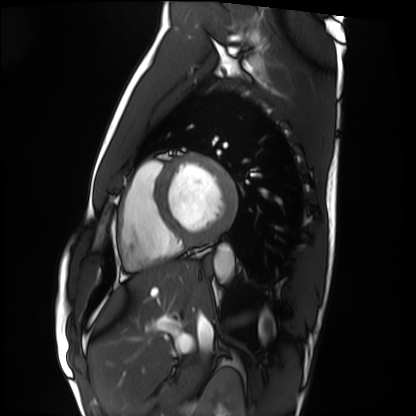
Cardiac MRI.
Subject group: healthy volunteer.